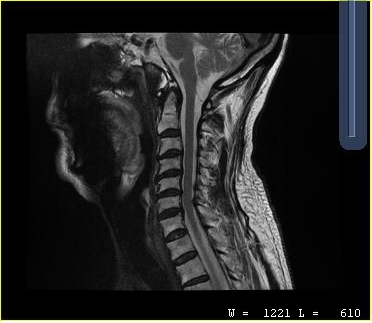
Case summary:
MRI of the cervical spine. Study: cervical spondylosis.